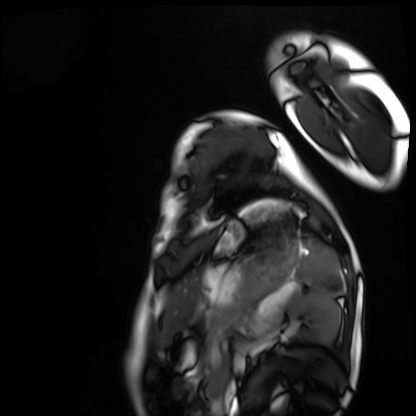
Summary: Cardiac MRI. Subject group: healthy volunteer.